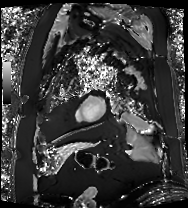
<record>
<modality>cardiac MRI</modality>
<cohort>patient</cohort>
</record>